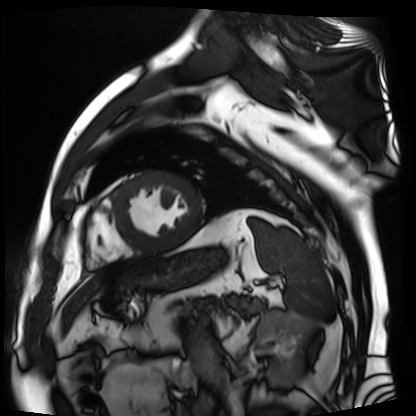
Case summary:
Cardiac MR image of the myocardium. Subject cohort: cardiac patient.